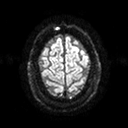
modality — 3 Tesla brain MRI | series — diffusion tensor imaging (medium iso) | study — ring-enhancing brain masses.